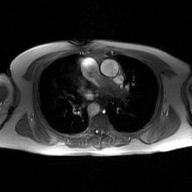
{"modality": {"type": "2D phase-contrast cine MRI", "region": "ascending aorta", "reconstruction": "GAN super-resolution reconstruction"}}